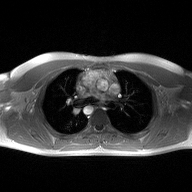
* modality: 2D phase-contrast cine MRI of the ascending aorta